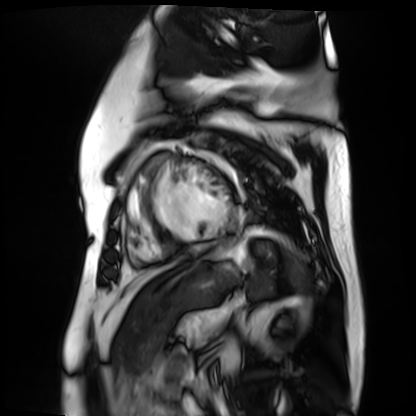
Cardiac MR image of the myocardium. Subject cohort: cardiac patient.